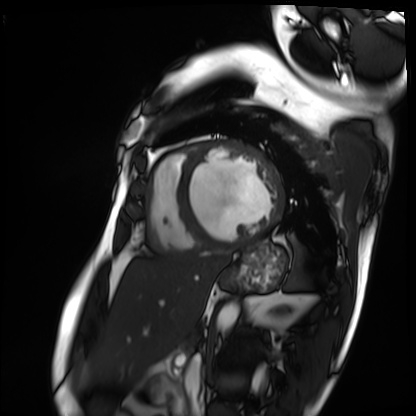
modality: cardiac MRI
cohort: patient